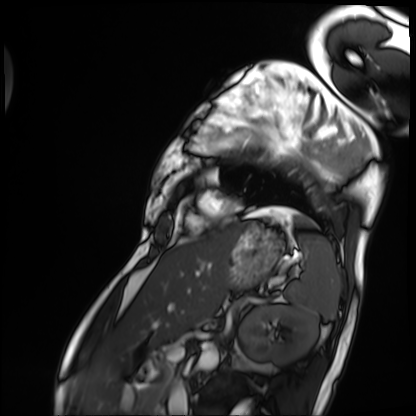
modality = cardiac MRI | subject group = patient.